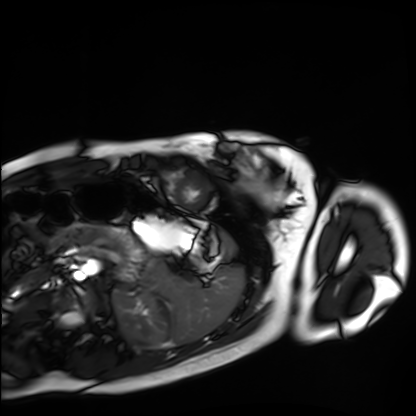
modality: cardiac MRI
subject group: healthy volunteer